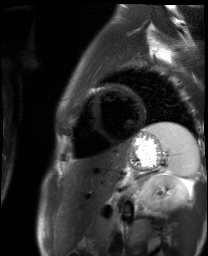
modality: cardiac MR image of the myocardium
subject cohort: healthy volunteer